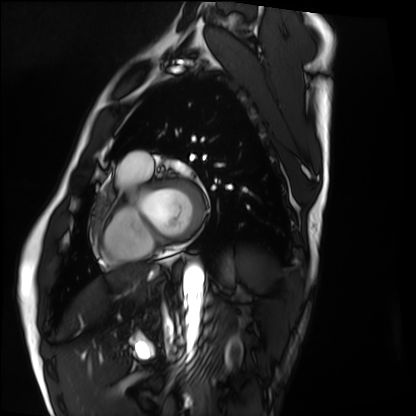
modality = cardiac MRI, subject group = healthy volunteer.